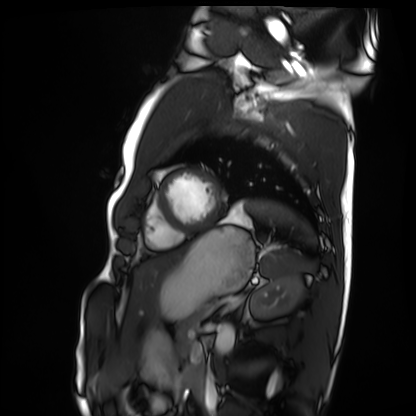
Cardiac MRI. Subject group: healthy volunteer.